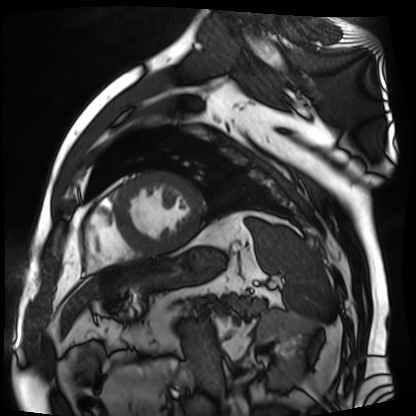
Cardiac MR image of the myocardium.
Subject cohort: cardiac patient.